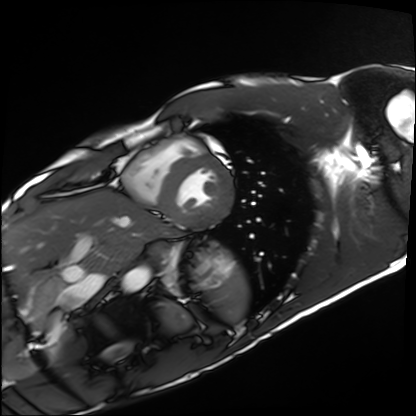
Cardiac MRI.
Subject group: healthy volunteer.